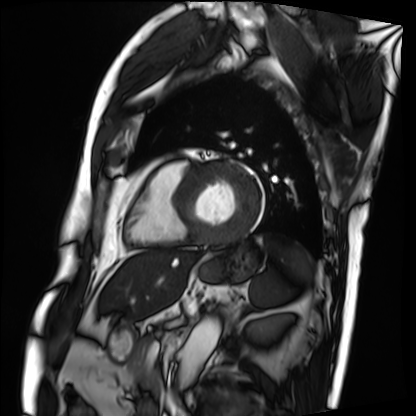
Cardiac MRI. Subject group: patient.